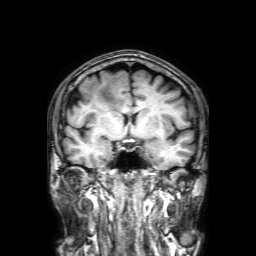
Case:
- modality — 3 Tesla brain MRI
- series — 3D T1-weighted with SENSE
- study — ring-enhancing brain masses